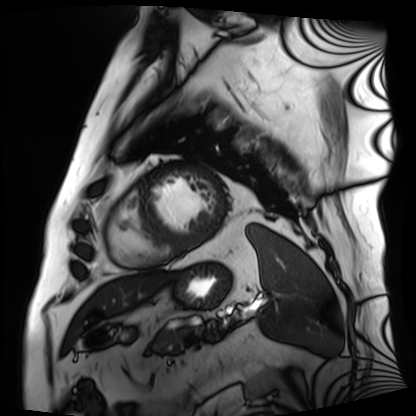
Cardiac MRI.
Subject group: patient.